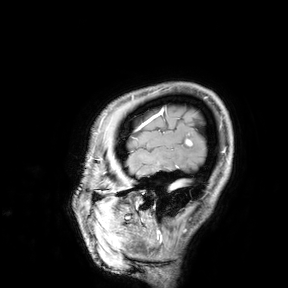
Summary: 3 Tesla brain MRI. Study: ring-enhancing brain masses.